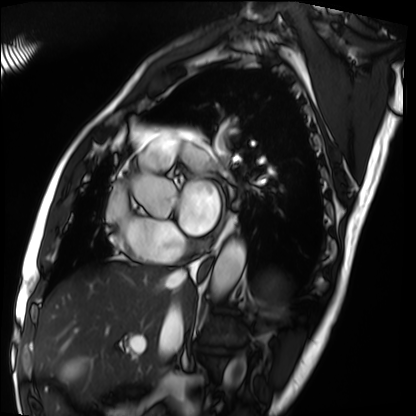
| field | value |
|---|---|
| modality | cardiac MRI |
| subject group | patient |